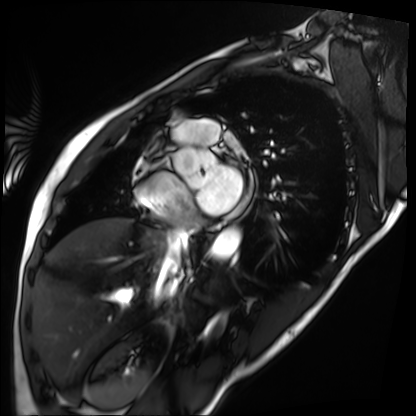
Case summary: Cardiac MRI. Subject group: patient.